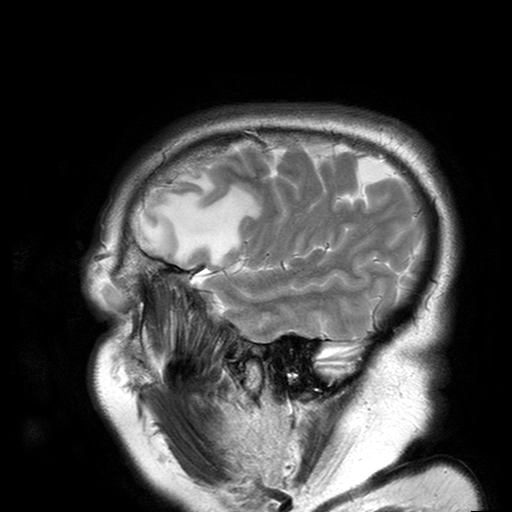
Clinical context:
3 Tesla brain MRI. Series: T2-weighted turbo spin echo with SENSE. Study: ring-enhancing brain masses.